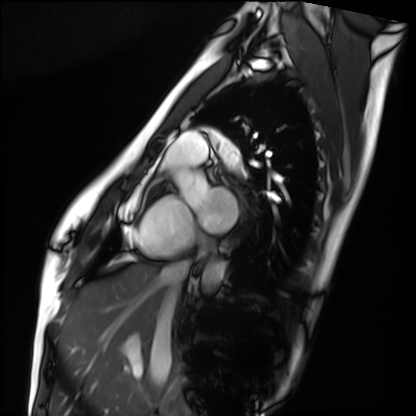
* modality — cardiac MRI
* subject group — healthy volunteer